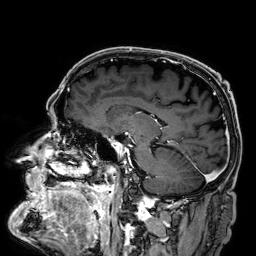
Case summary:
3 Tesla brain MRI. Series: 3D T1-weighted. Study: ring-enhancing brain masses.